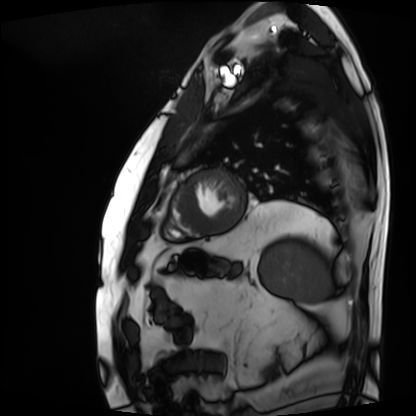
modality = cardiac MRI | subject group = patient.